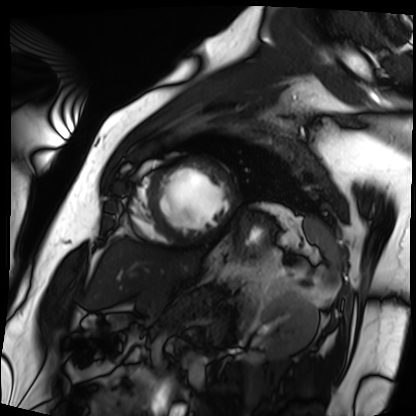
Cardiac MRI. Subject group: patient.